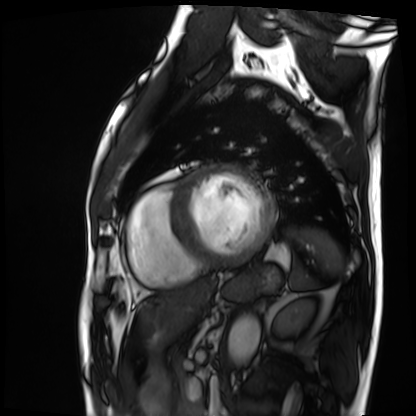
Cardiac MRI.
Subject group: patient.